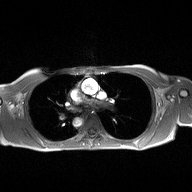
2D phase-contrast cine MRI of the ascending aorta, high-resolution GRAPPA acquisition.